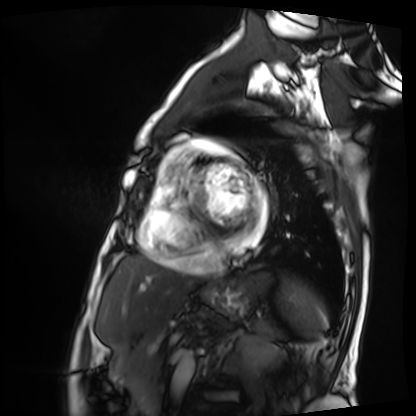
Q: What kind of scan is this?
A: Cardiac MRI.
Subject group: patient.